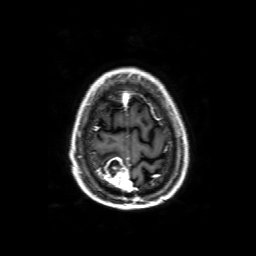
3 Tesla brain MRI.
Series: 3D T1-weighted with SENSE.
Study: ring-enhancing brain masses.